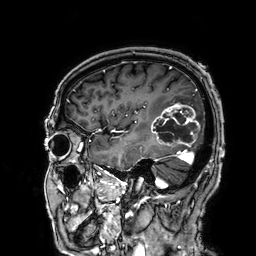
<case>
<modality>
  <type>brain MRI</type>
  <field_strength>3T</field_strength>
</modality>
<series>3D T1-weighted</series>
<study_topic>ring-enhancing brain masses</study_topic>
</case>